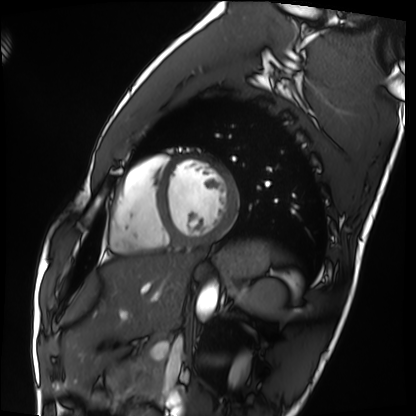
Cardiac MRI.
Subject group: healthy volunteer.